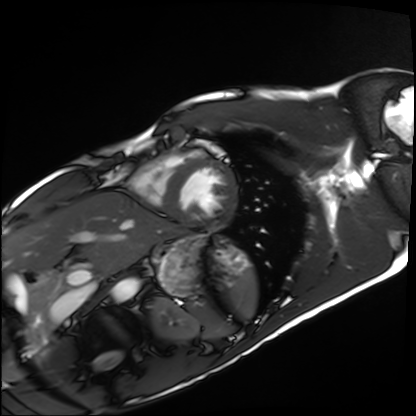
* modality · cardiac MRI
* subject group · healthy volunteer